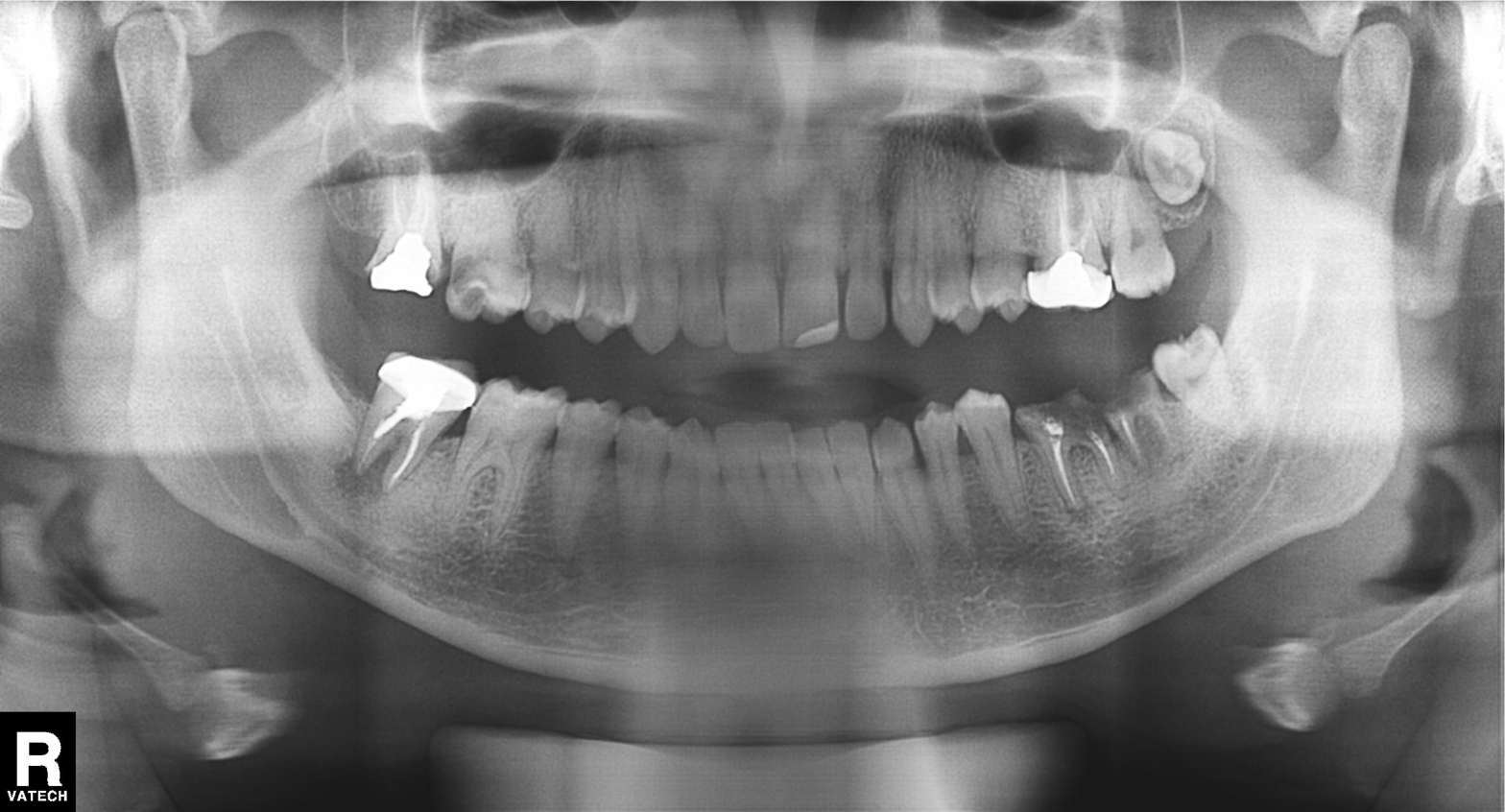
modality=panoramic dental radiograph (orthopantomogram); finding=dental caries (cavities).